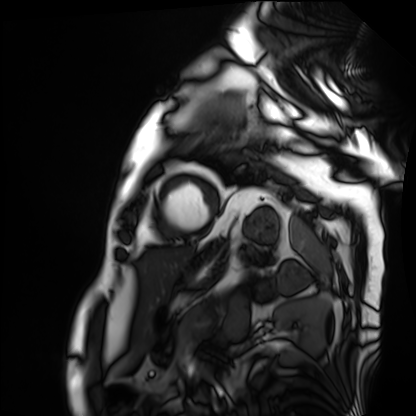
Q: What kind of scan is this?
A: Cardiac MRI.
Subject group: patient.